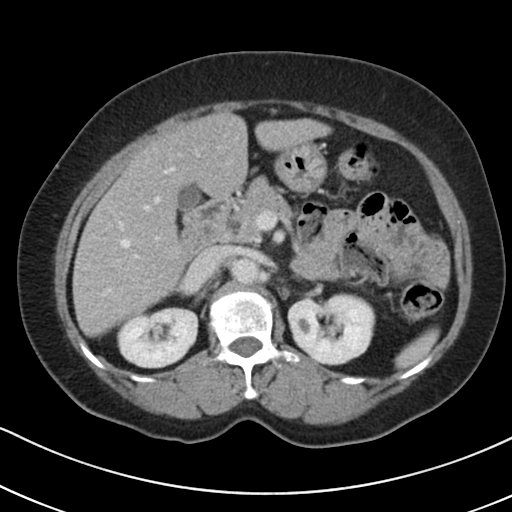
modality = multiphase abdominal CT, liver, delayed phase | patient = female, age 70.